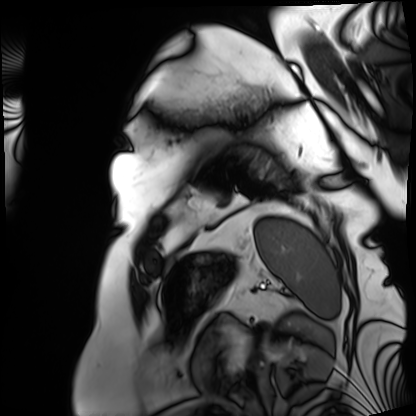
{"modality": "cardiac MRI", "cohort": "patient"}